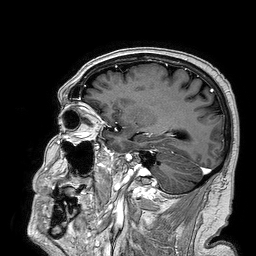
modality = 3 Tesla brain MRI; series = 3D T1-weighted turbo field echo; study = ring-enhancing brain masses.